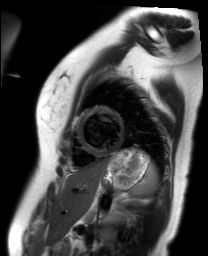
Cardiac MR image of the myocardium.
Subject cohort: healthy volunteer.